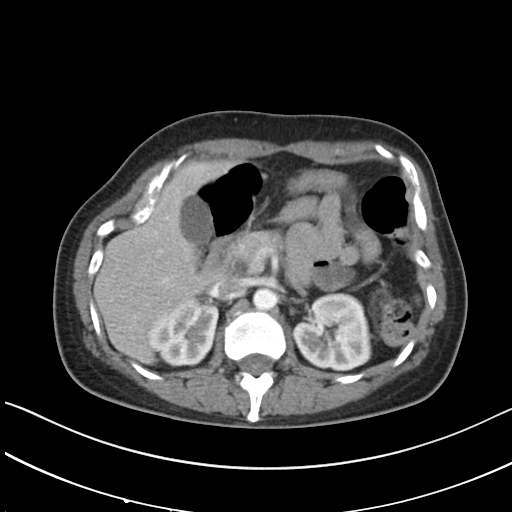
modality = multiphase abdominal CT, liver, arterial phase
patient = female, age 47